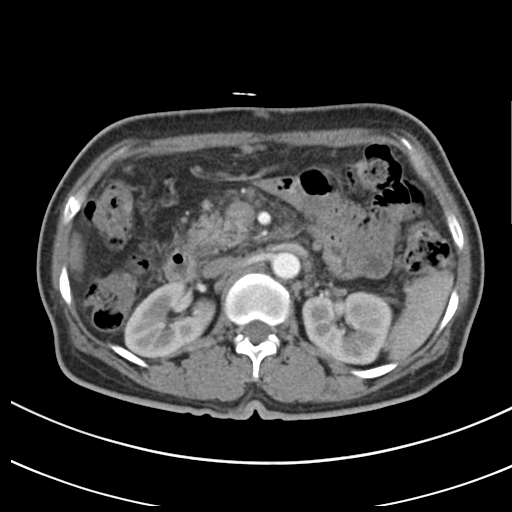
Clinical context: Multiphase abdominal CT, liver, arterial phase. Patient: female, age 55.